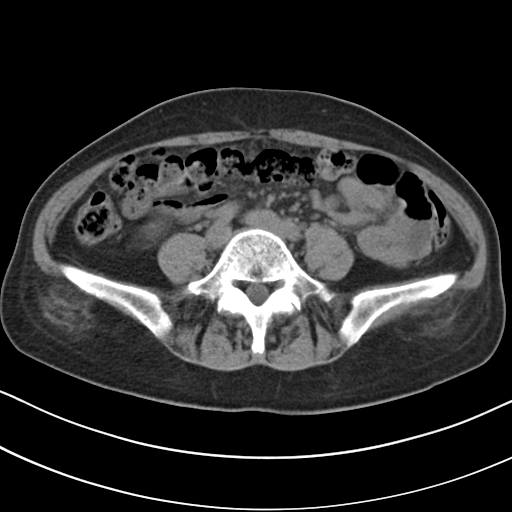
| field | value |
|---|---|
| modality | multiphase abdominal CT, liver, non-contrast phase |
| patient | female, age 59 |
| history | prior chemotherapy |